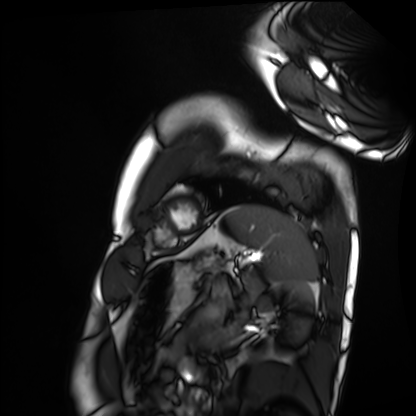
Summary: Cardiac MRI. Subject group: healthy volunteer.